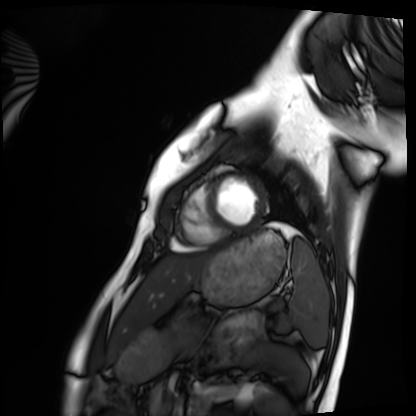
Summary: Cardiac MRI. Subject group: healthy volunteer.